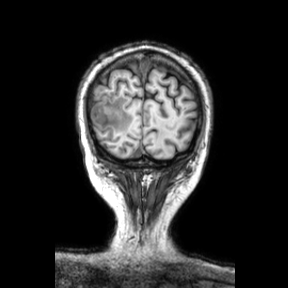
3 Tesla brain MRI.
Series: coronal.
Study: ring-enhancing brain masses.